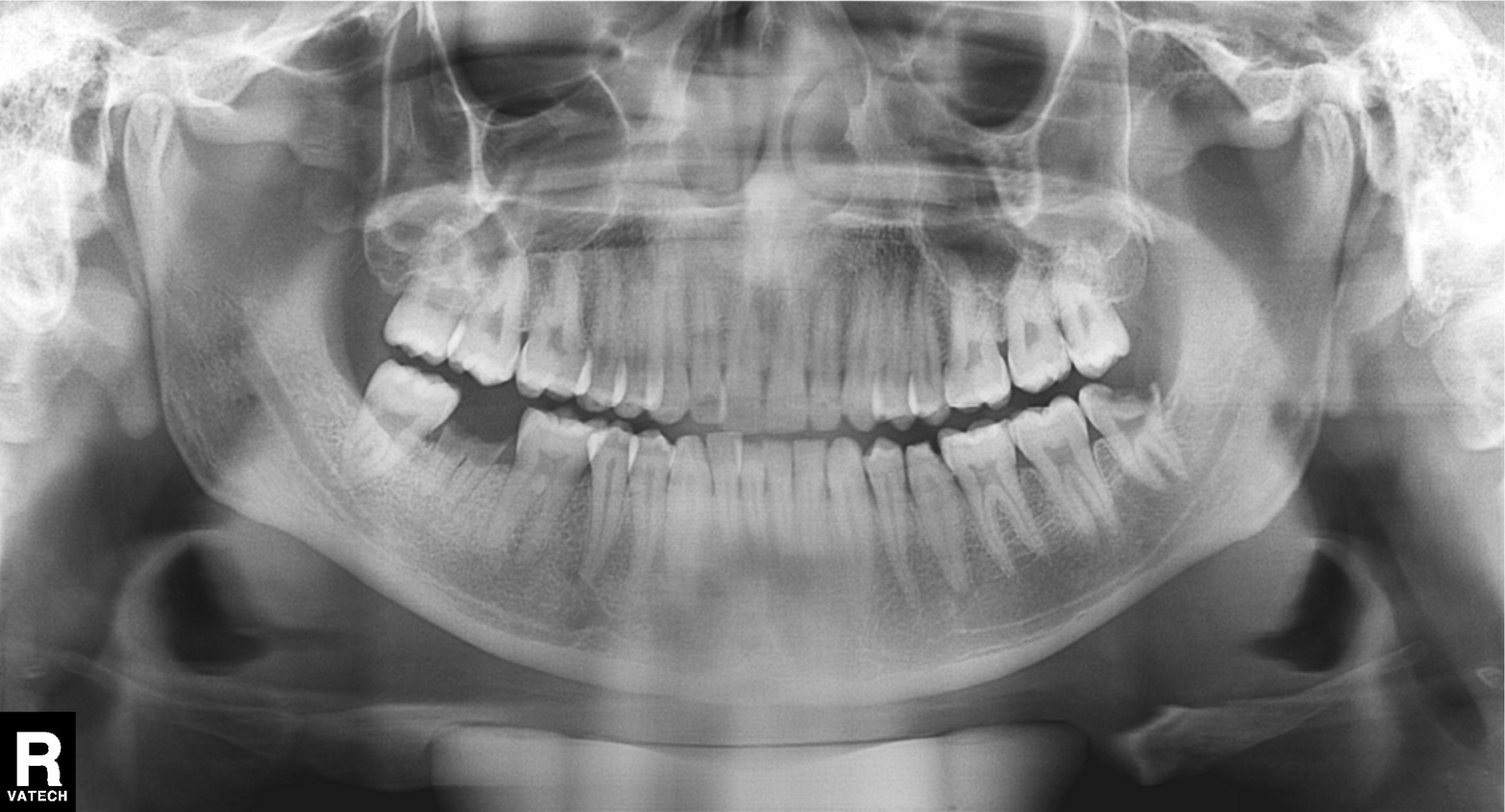
modality: panoramic dental radiograph (orthopantomogram) | finding: alveolar bone loss.